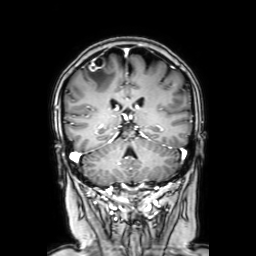
3 Tesla brain MRI. Series: coronal with contrast. Study: ring-enhancing brain masses.